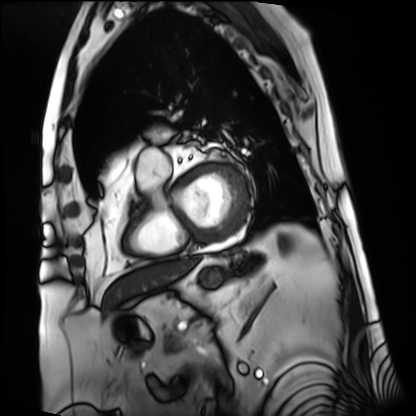
  modality: cardiac MRI
  cohort: patient